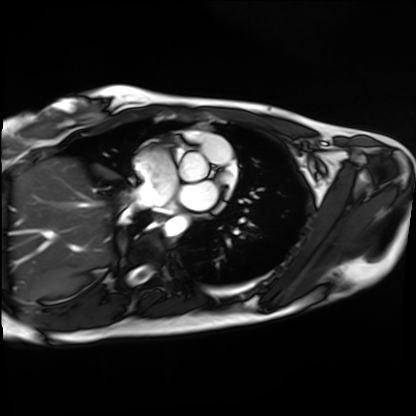
Cardiac MRI. Subject group: healthy volunteer.